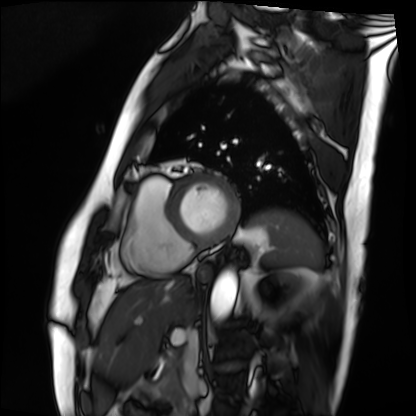
  modality: cardiac MRI
  cohort: patient